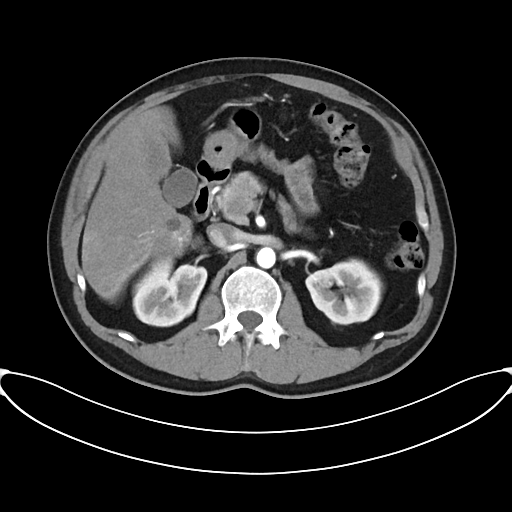
modality = multiphase abdominal CT, liver, arterial phase | patient = male, age 45.